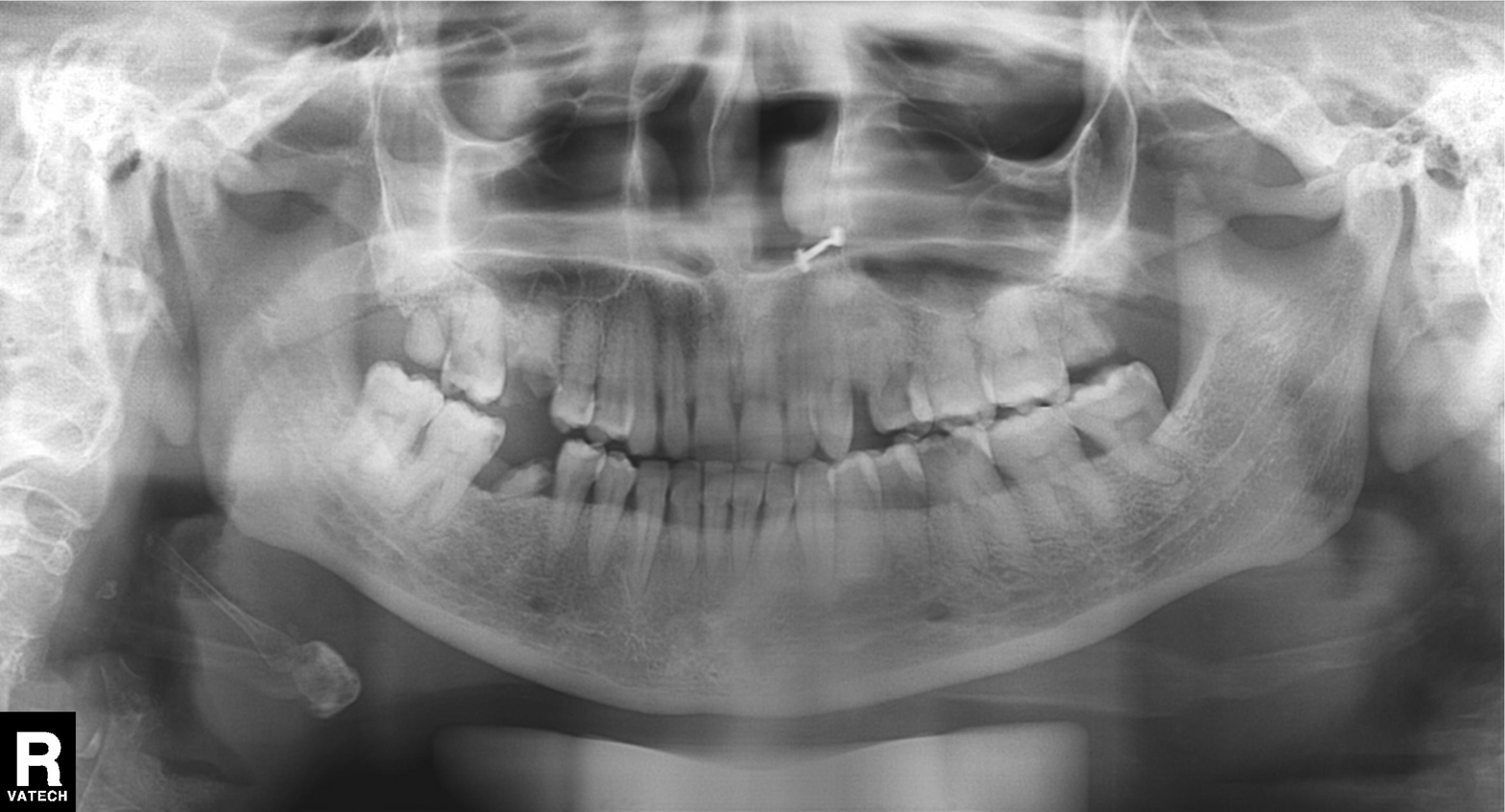
modality = panoramic dental radiograph (orthopantomogram)
finding = alveolar bone loss